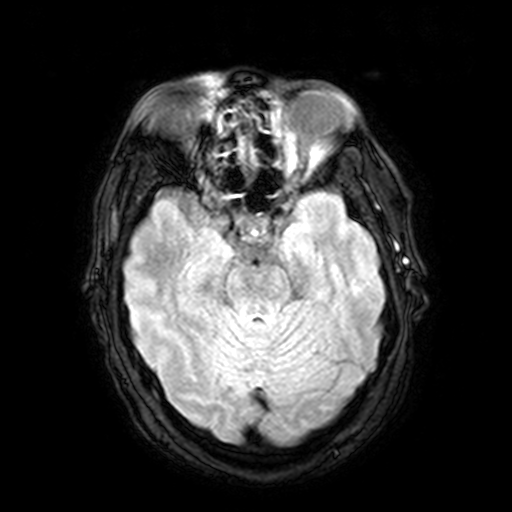
Case summary:
3 Tesla brain MRI. Series: FLAIR with SPAIR, 3 mm. Study: ring-enhancing brain masses.